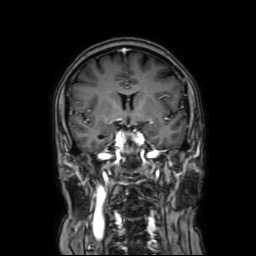
modality = 3 Tesla brain MRI
series = coronal with contrast
study = ring-enhancing brain masses